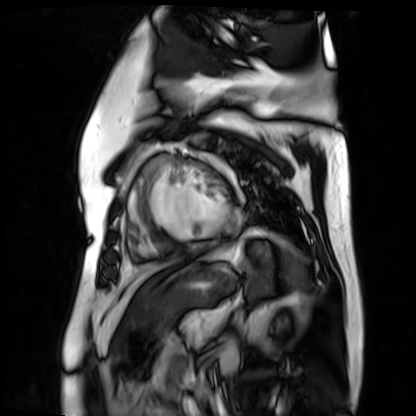
Q: What kind of scan is this?
A: Cardiac MR image of the myocardium.
Subject cohort: cardiac patient.